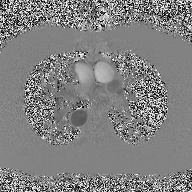
2D phase-contrast cine MRI of the ascending aorta, high-resolution GRAPPA acquisition.